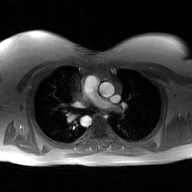
modality — 2D phase-contrast cine MRI of the ascending aorta, GAN super-resolution reconstruction.